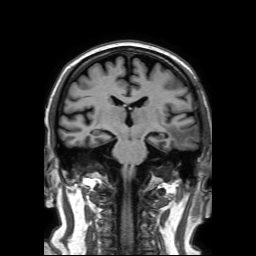
3 Tesla brain MRI. Series: 3D T1-weighted TFE with SENSE. Study: ring-enhancing brain masses.